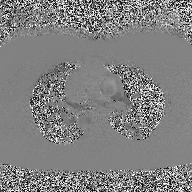
Case summary:
2D phase-contrast cine MRI of the ascending aorta, high-resolution GRAPPA acquisition.